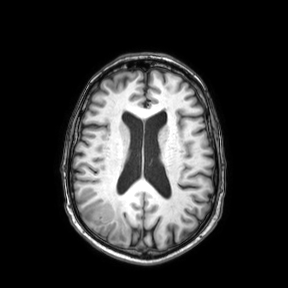
Case summary: 3 Tesla brain MRI. Series: axial. Study: ring-enhancing brain masses.